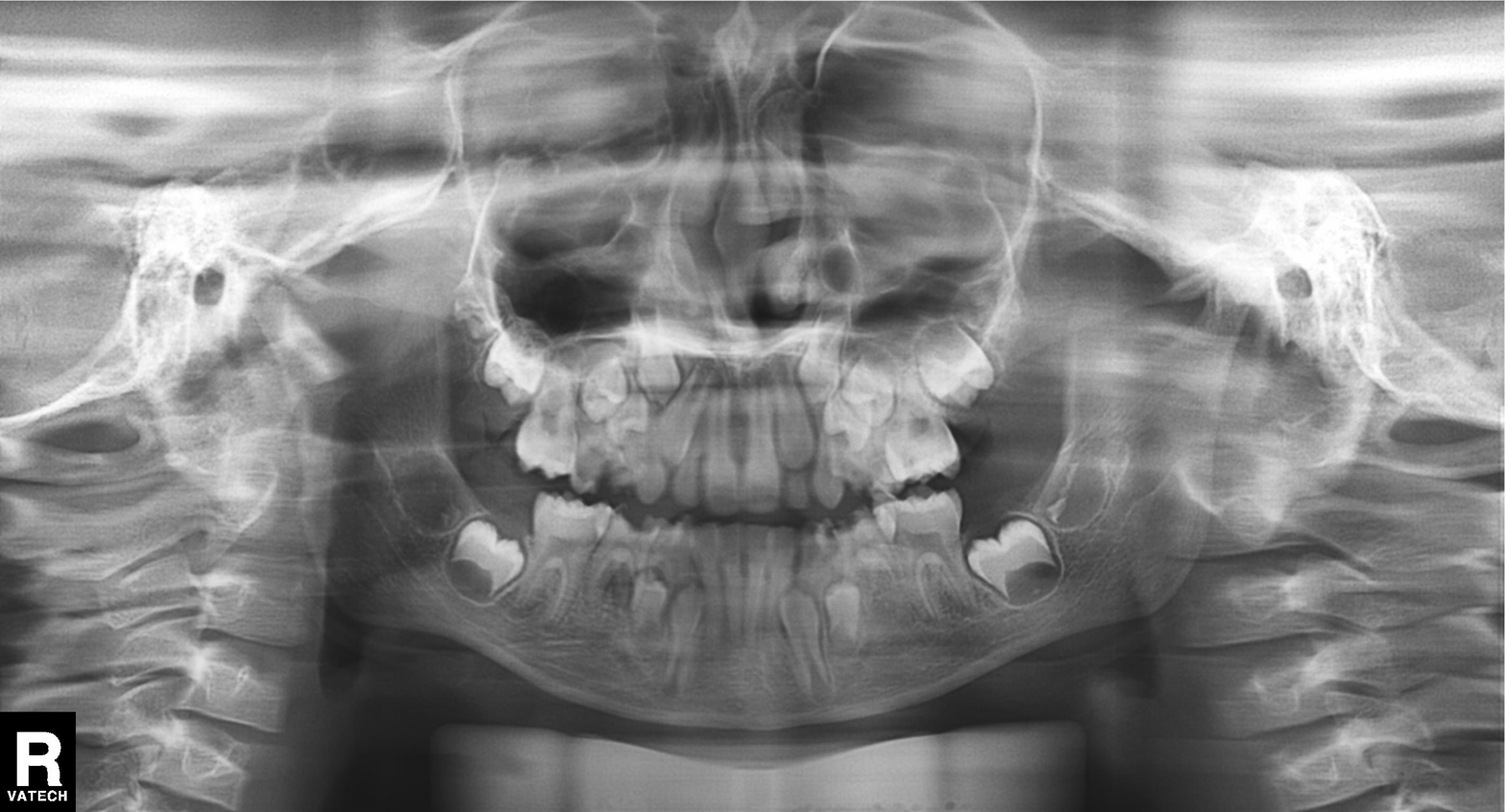
Panoramic dental radiograph (orthopantomogram). Finding: tooth impaction.